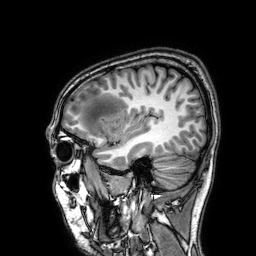
• modality · 3 Tesla brain MRI
• series · 3D T1-weighted
• study · ring-enhancing brain masses